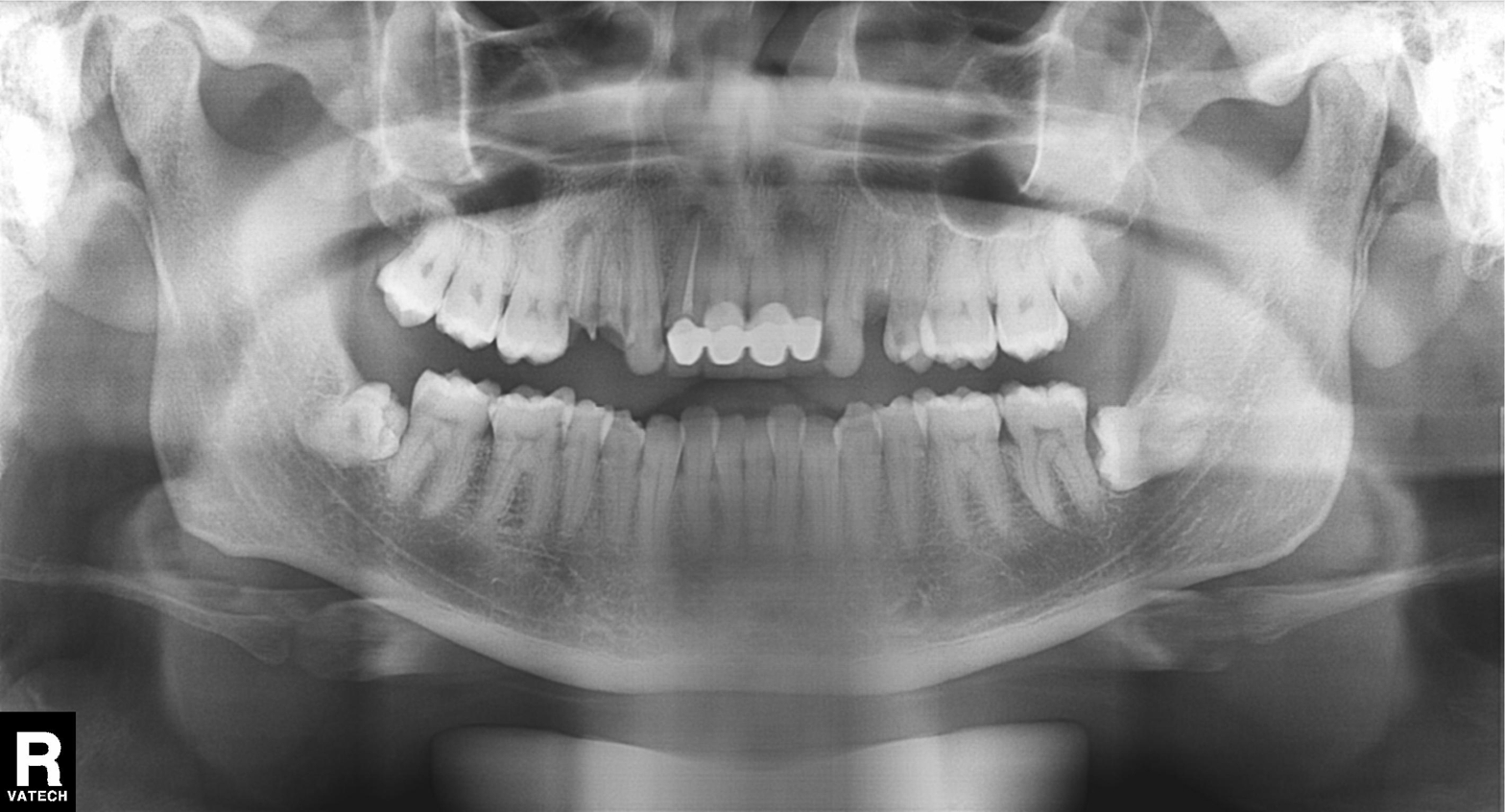
Clinical context: Panoramic dental radiograph (orthopantomogram).
Diagnosis: Dental caries (cavities).